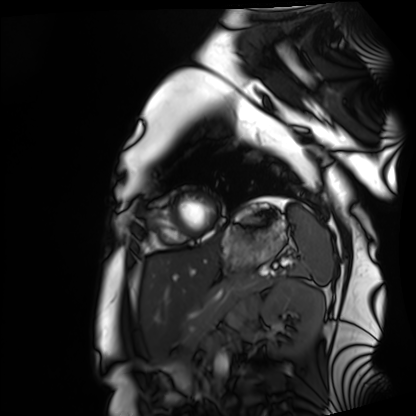
Q: What kind of scan is this?
A: Cardiac MRI.
Subject group: healthy volunteer.